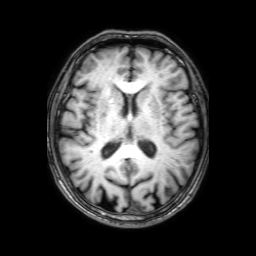
modality:
  type: brain MRI
  field_strength: 3T
series: 3D T1-weighted with SENSE
study_topic: ring-enhancing brain masses